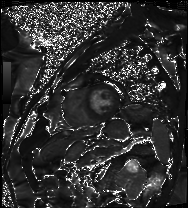
modality: cardiac MRI; subject group: patient.